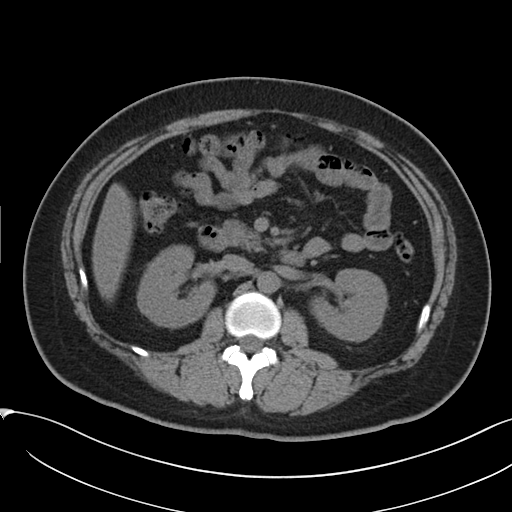
Clinical context:
Multiphase abdominal CT, liver, non-contrast phase. Patient: female, age 38.